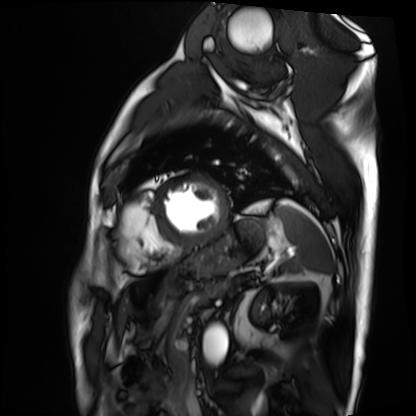
modality = cardiac MRI
subject group = patient